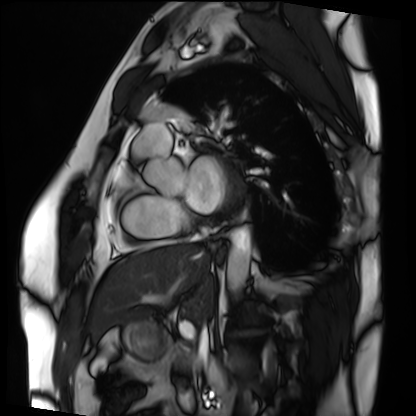
Cardiac MRI. Subject group: patient.